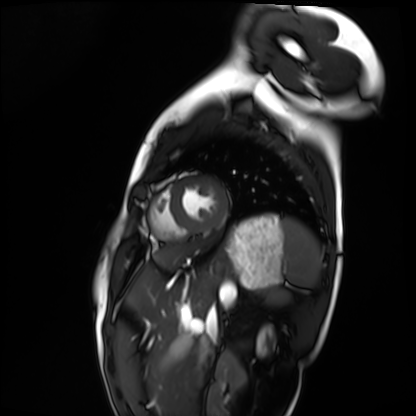
Case:
• modality — cardiac MRI
• subject group — healthy volunteer